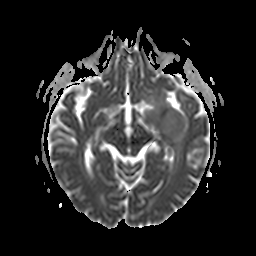
Case summary: 3 Tesla brain MRI. Series: apparent diffusion coefficient (ADC) map. Study: ring-enhancing brain masses.